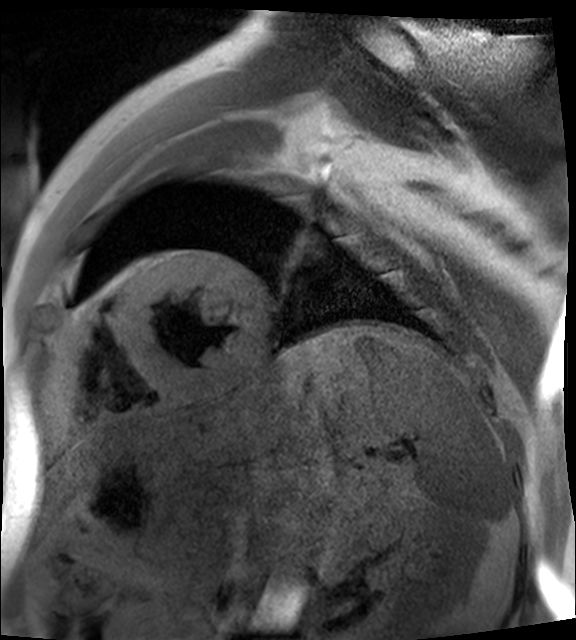
modality: cardiac MR image of the myocardium; subject cohort: cardiac patient.